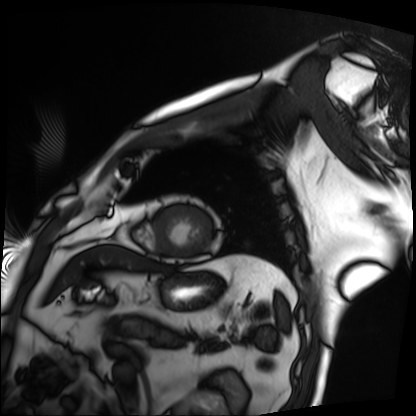
Summary:
Cardiac MRI. Subject group: patient.